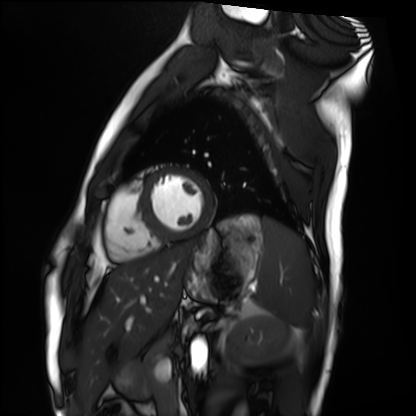
Clinical context: Cardiac MRI. Subject group: healthy volunteer.